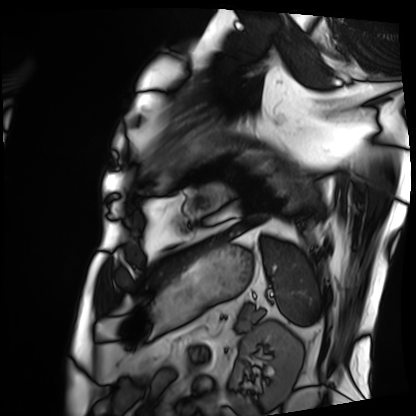
Clinical context:
Cardiac MRI. Subject group: patient.